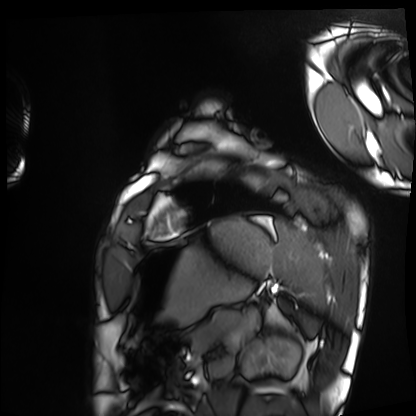
Case:
- modality · cardiac MRI
- subject group · healthy volunteer